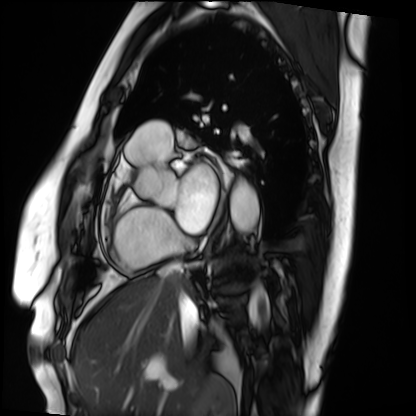
Case summary: Cardiac MRI. Subject group: patient.